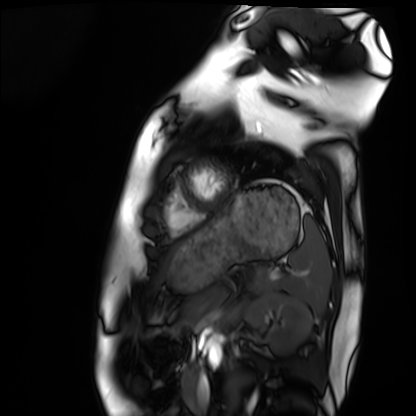
Q: What kind of scan is this?
A: Cardiac MRI.
Subject group: healthy volunteer.